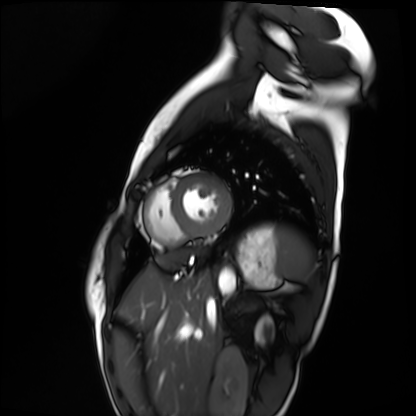
modality — cardiac MRI
subject group — healthy volunteer